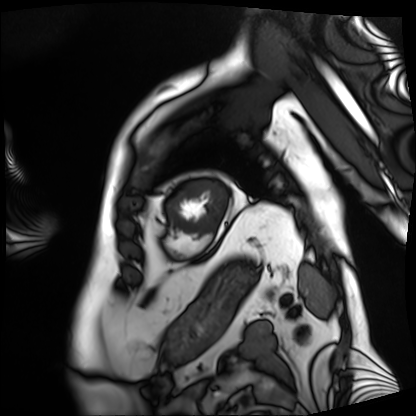
modality = cardiac MRI, subject group = patient.